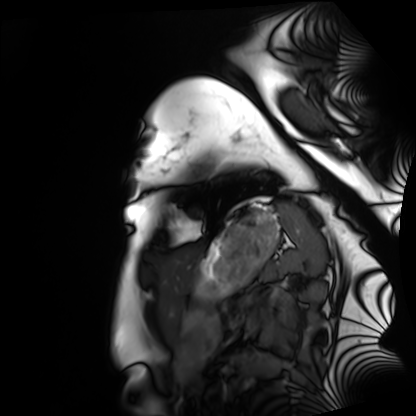
Cardiac MRI.
Subject group: healthy volunteer.